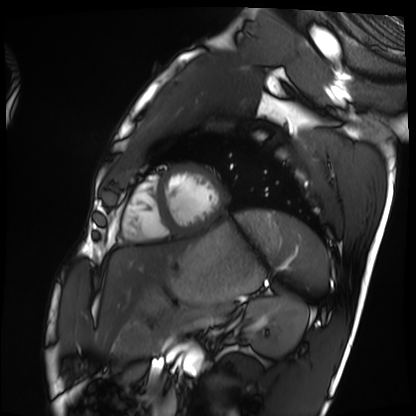
<record>
  <modality>cardiac MRI</modality>
  <cohort>healthy volunteer</cohort>
</record>